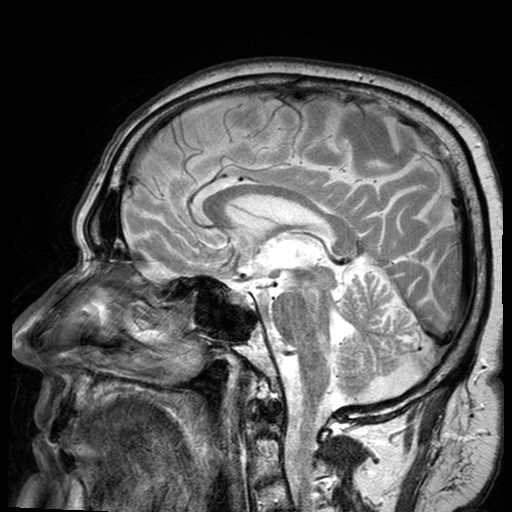
Summary: 3 Tesla brain MRI. Series: T2-weighted turbo spin echo with SENSE. Study: ring-enhancing brain masses.